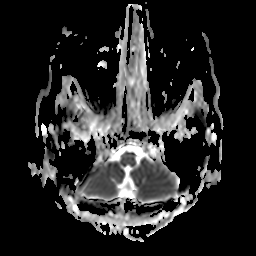
Q: What kind of scan is this?
A: 3 Tesla brain MRI.
Q: Series?
A: Apparent diffusion coefficient (ADC) map.
Study: ring-enhancing brain masses.